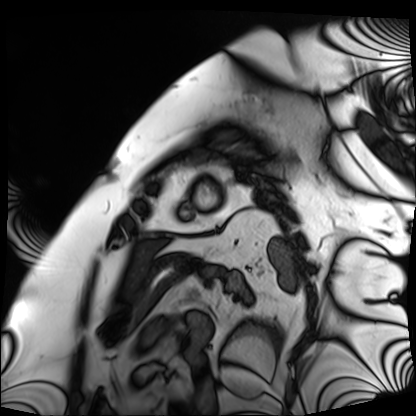
Cardiac MRI.
Subject group: patient.